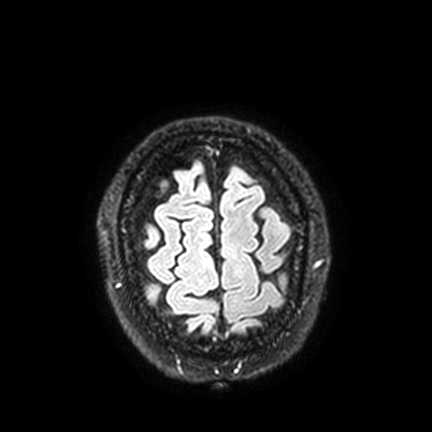
3 Tesla brain MRI.
Series: FLAIR VISTA with SENSE.
Study: ring-enhancing brain masses.